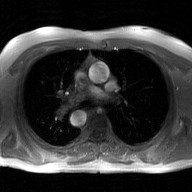
Q: What kind of scan is this?
A: 2D phase-contrast cine MRI of the ascending aorta, GAN super-resolution reconstruction.